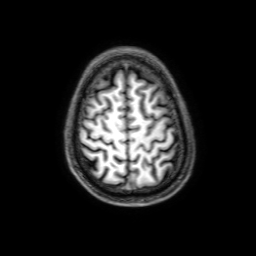
3 Tesla brain MRI. Series: 3D T1-weighted with SENSE. Study: ring-enhancing brain masses.